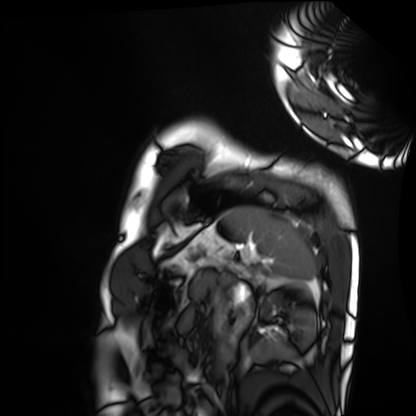
{"modality": "cardiac MRI", "cohort": "healthy volunteer"}